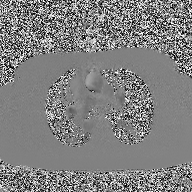
Q: What kind of scan is this?
A: 2D phase-contrast cine MRI of the ascending aorta.